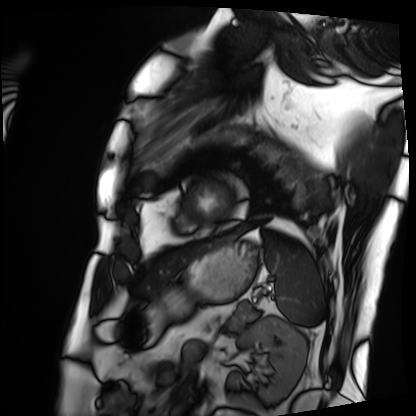
{
  "modality": "cardiac MRI",
  "cohort": "patient"
}